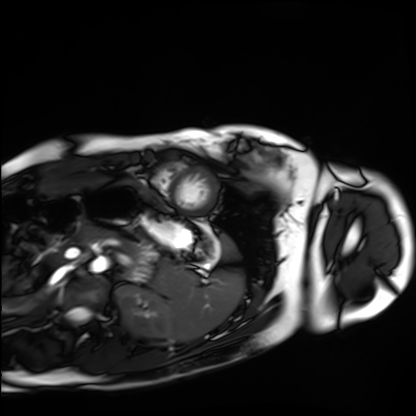
modality=cardiac MRI; subject group=healthy volunteer.